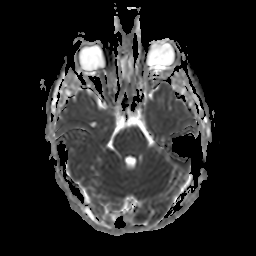
modality: 3 Tesla brain MRI
series: apparent diffusion coefficient (ADC) map
study: ring-enhancing brain masses